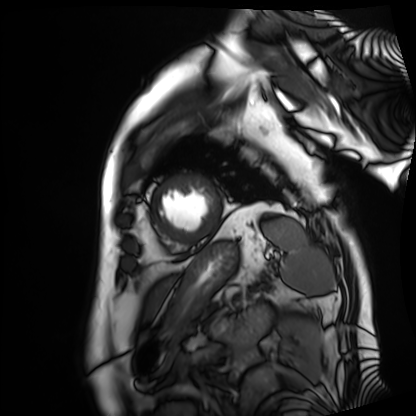
Q: What kind of scan is this?
A: Cardiac MRI.
Subject group: patient.